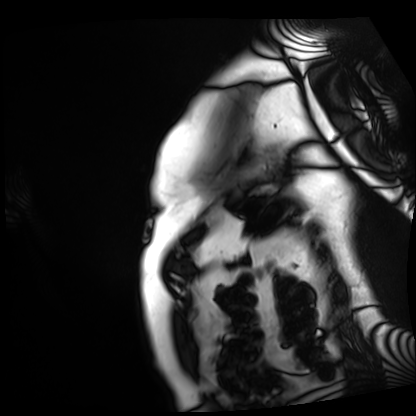
modality = cardiac MRI, subject group = patient.